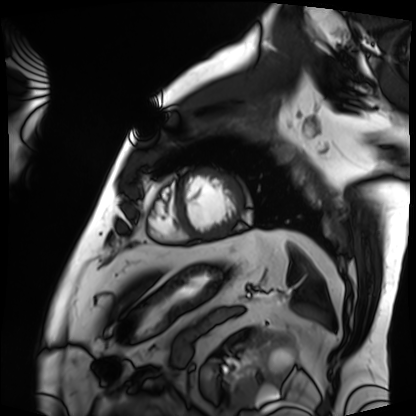
Summary: Cardiac MRI. Subject group: patient.